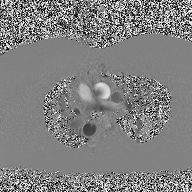
2D phase-contrast cine MRI of the ascending aorta, high-resolution GRAPPA acquisition.